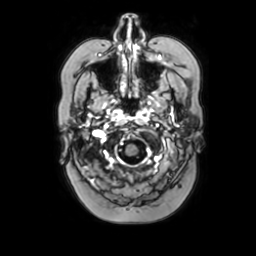
{
  "modality": {
    "type": "brain MRI",
    "field_strength": "3T"
  },
  "series": "axial with contrast",
  "study_topic": "ring-enhancing brain masses"
}